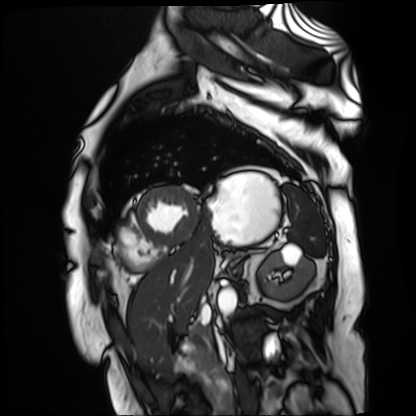
Clinical context: Cardiac MR image of the myocardium. Subject cohort: cardiac patient.